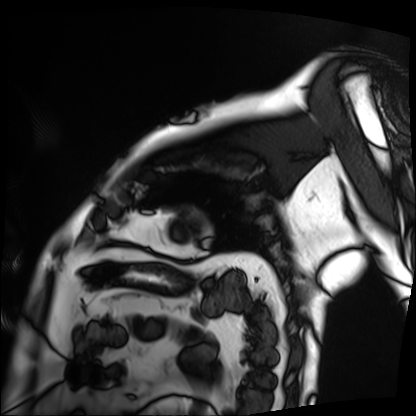
{
  "modality": "cardiac MRI",
  "cohort": "patient"
}